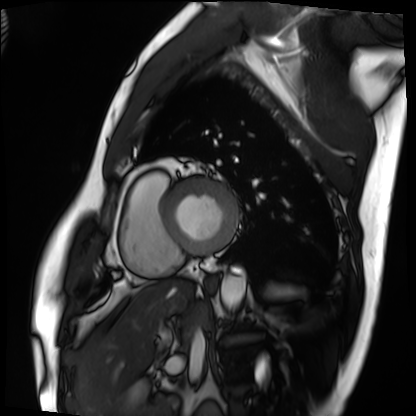
modality: cardiac MRI, subject group: patient.